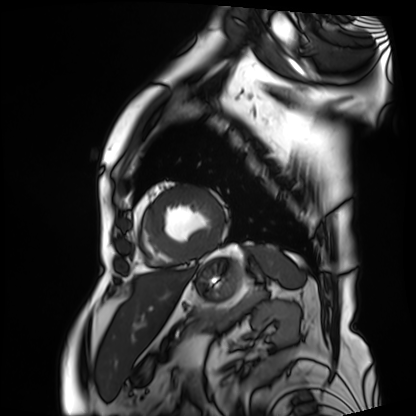
{
  "modality": "cardiac MRI",
  "cohort": "patient"
}